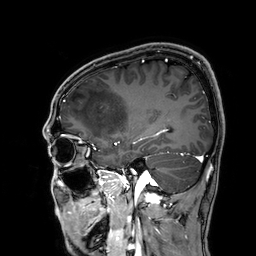
<scan>
<modality>
  <type>brain MRI</type>
  <field_strength>3T</field_strength>
</modality>
<series>3D T1-weighted</series>
<study_topic>ring-enhancing brain masses</study_topic>
</scan>